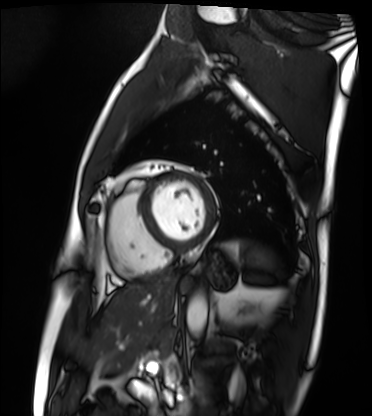
modality=cardiac MRI | subject group=patient.